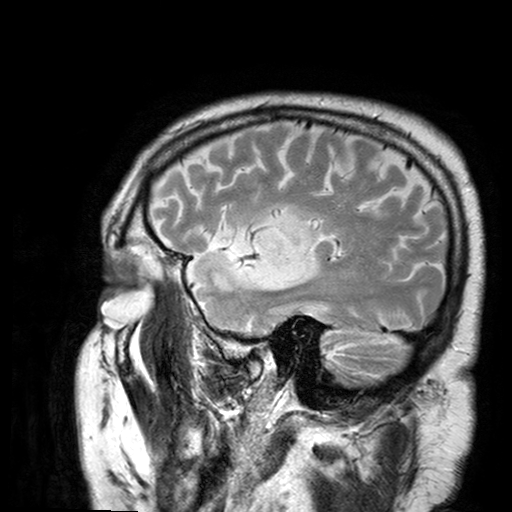
– modality — 3 Tesla brain MRI
– series — T2-weighted turbo spin echo with SENSE
– study — ring-enhancing brain masses